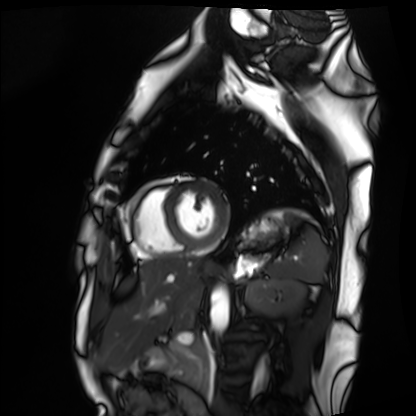
modality = cardiac MRI, subject group = healthy volunteer.